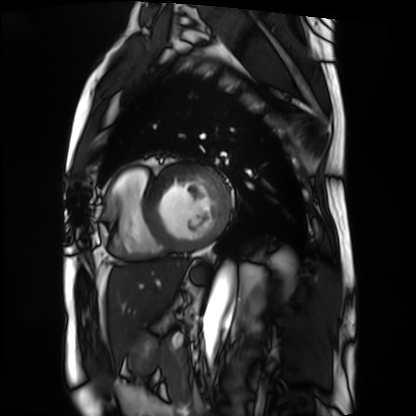
Summary:
Cardiac MRI. Subject group: patient.